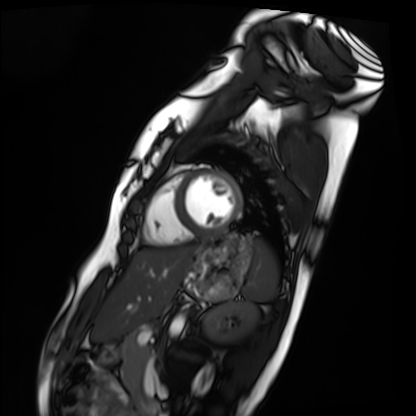
Cardiac MRI.
Subject group: healthy volunteer.